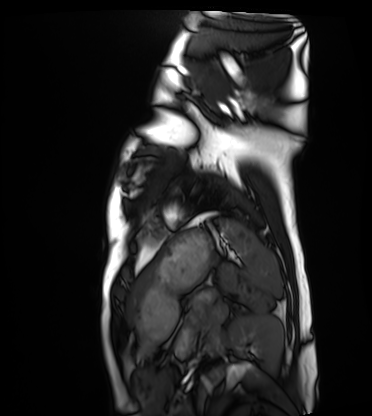
- modality · cardiac MRI
- subject group · healthy volunteer